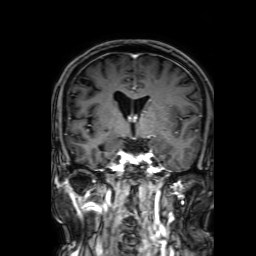
Case:
- modality · 3 Tesla brain MRI
- series · 3D T1-weighted with SENSE
- study · ring-enhancing brain masses